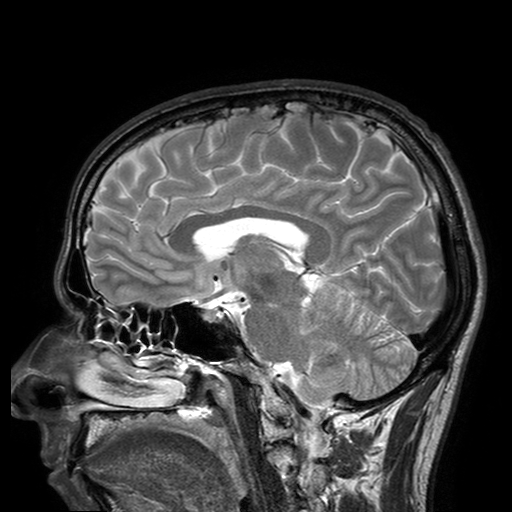
modality = 3 Tesla brain MRI | series = T2-weighted turbo spin echo with SENSE | study = ring-enhancing brain masses.